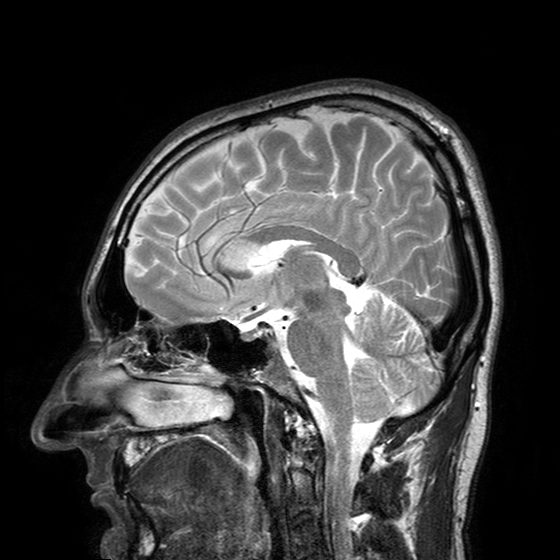
3 Tesla brain MRI.
Series: T2-weighted turbo spin echo with SENSE.
Study: ring-enhancing brain masses.